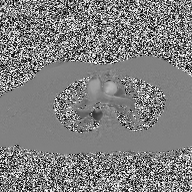
2D phase-contrast cine MRI of the ascending aorta, high-resolution GRAPPA acquisition.